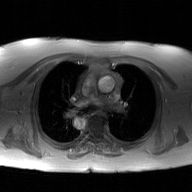
2D phase-contrast cine MRI of the ascending aorta, GAN super-resolution reconstruction.